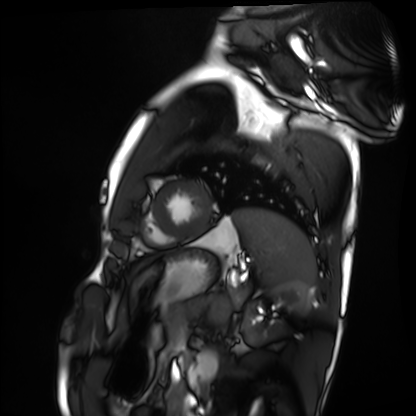
Cardiac MRI. Subject group: healthy volunteer.